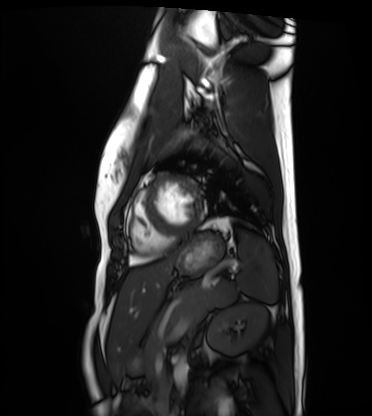
modality: cardiac MRI
cohort: healthy volunteer